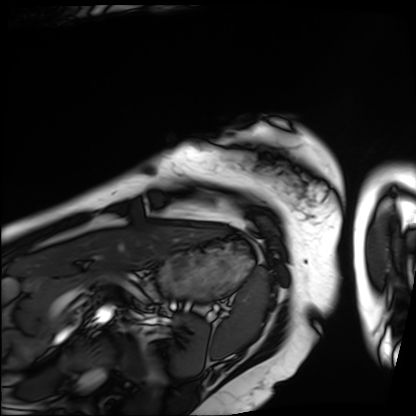
Case summary: Cardiac MRI. Subject group: patient.